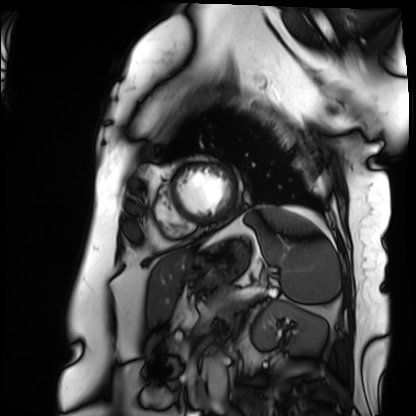
Summary: Cardiac MRI. Subject group: patient.